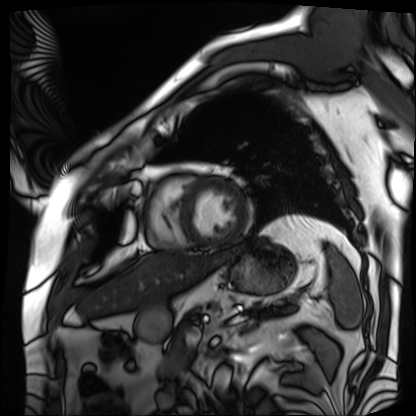
{
  "modality": "cardiac MRI",
  "cohort": "patient"
}